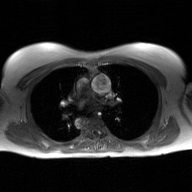
<scan>
  <modality>
    <type>2D phase-contrast cine MRI</type>
    <region>ascending aorta</region>
    <reconstruction>GAN super-resolution reconstruction</reconstruction>
  </modality>
</scan>